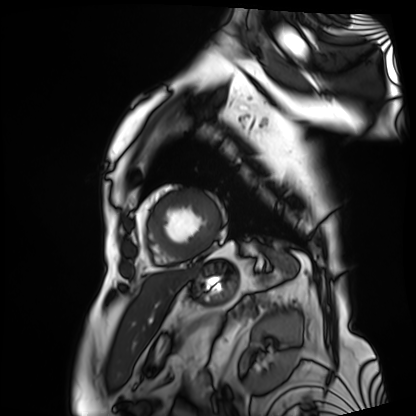
<study>
  <modality>cardiac MRI</modality>
  <cohort>patient</cohort>
</study>